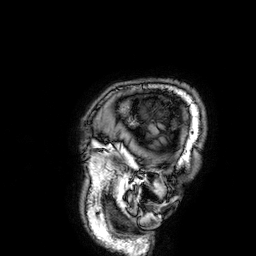
<case>
  <modality>
    <type>brain MRI</type>
    <field_strength>3T</field_strength>
  </modality>
  <series>3D T1-weighted</series>
  <study_topic>ring-enhancing brain masses</study_topic>
</case>